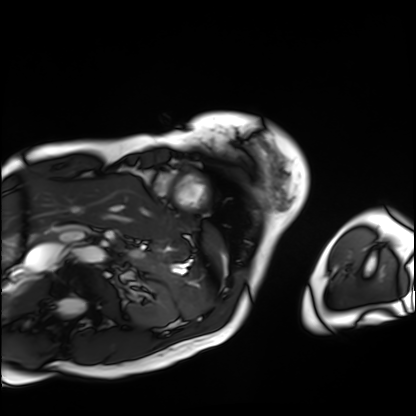
modality — cardiac MRI; subject group — patient.